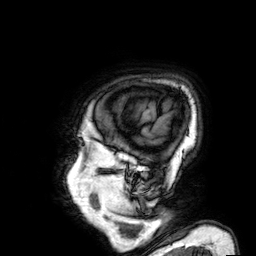
3 Tesla brain MRI. Series: 3D T1-weighted. Study: ring-enhancing brain masses.